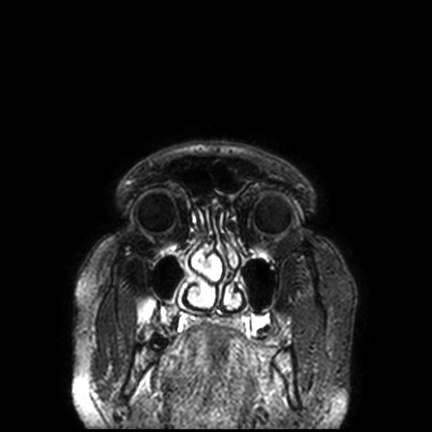
modality — 3 Tesla brain MRI
series — FLAIR VISTA with SENSE
study — ring-enhancing brain masses